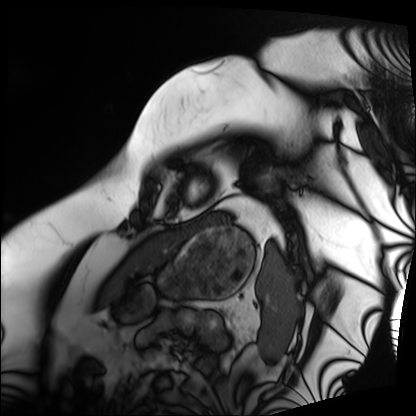
Cardiac MRI.
Subject group: patient.